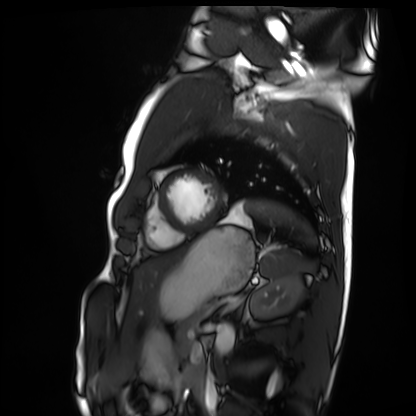
<record>
<modality>cardiac MRI</modality>
<cohort>healthy volunteer</cohort>
</record>